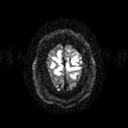
| field | value |
|---|---|
| modality | 3 Tesla brain MRI |
| study | ring-enhancing brain masses |